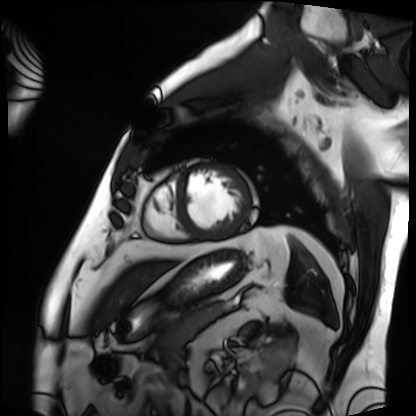
{
  "modality": "cardiac MRI",
  "cohort": "patient"
}